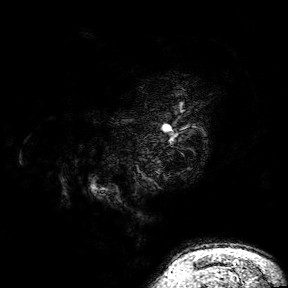
Case summary: 3 Tesla brain MRI. Series: 3D T1-weighted turbo field echo with SENSE. Study: ring-enhancing brain masses.